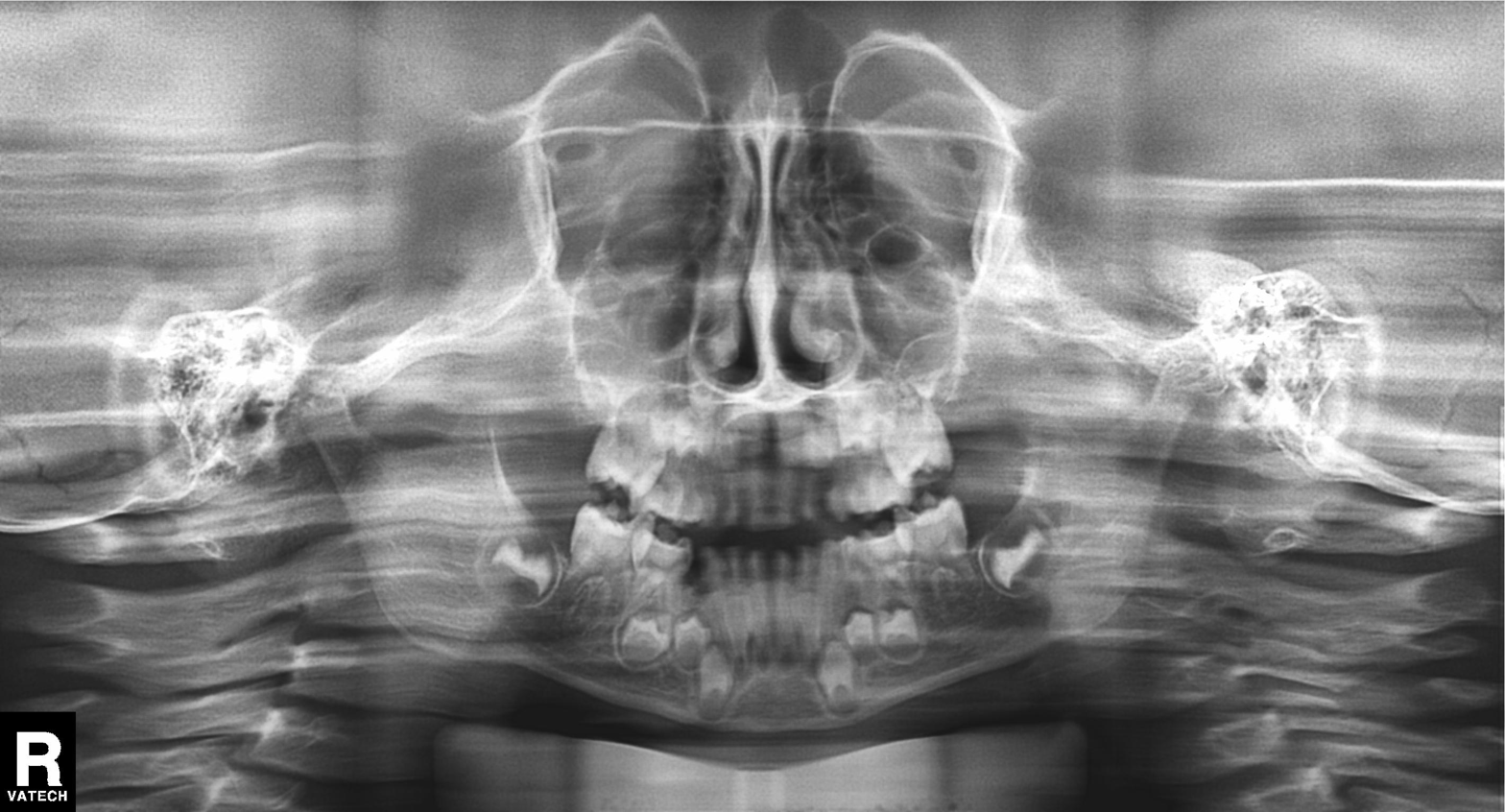
Clinical context:
Panoramic dental radiograph (orthopantomogram).
Diagnosis:
Alveolar bone loss.